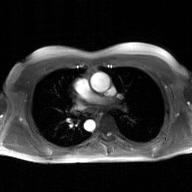
Case summary:
2D phase-contrast cine MRI of the ascending aorta, GAN super-resolution reconstruction.